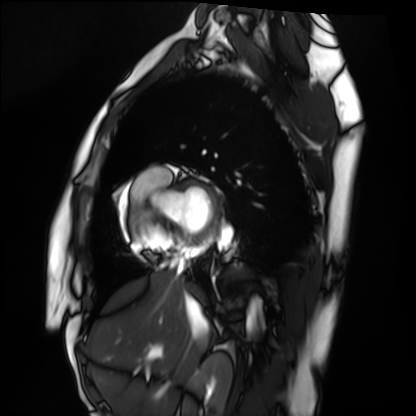
- modality: cardiac MRI
- subject group: healthy volunteer